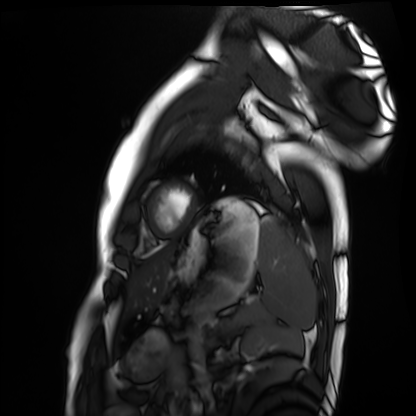
Summary: Cardiac MRI. Subject group: healthy volunteer.